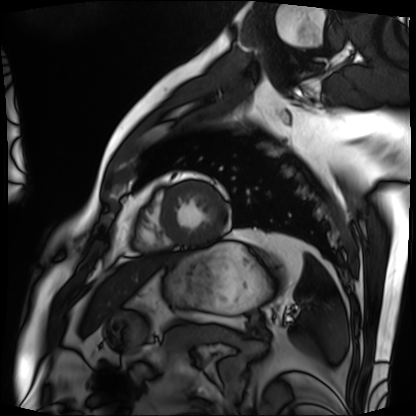
Cardiac MRI. Subject group: patient.